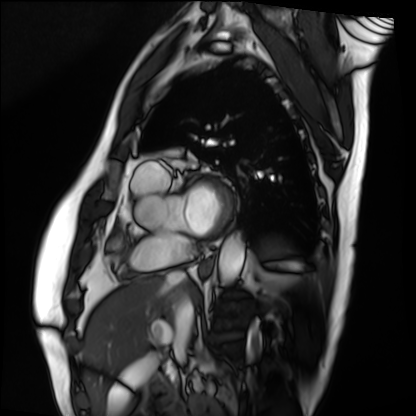
Cardiac MRI.
Subject group: patient.